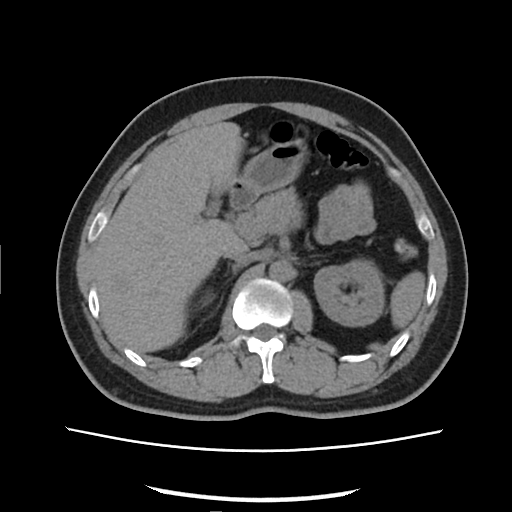
Summary: Multiphase abdominal CT, liver, non-contrast phase. Patient: male, age 33.